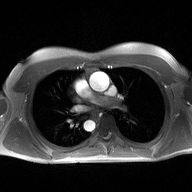
– modality · 2D phase-contrast cine MRI of the ascending aorta